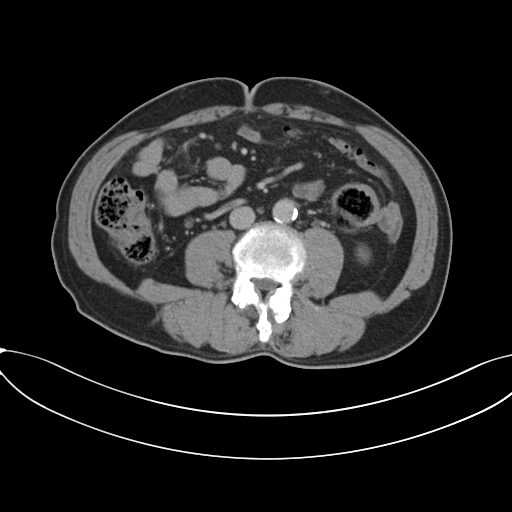
– modality: multiphase abdominal CT, liver, portal venous phase
– patient: male, age 61
– history: prior chemotherapy